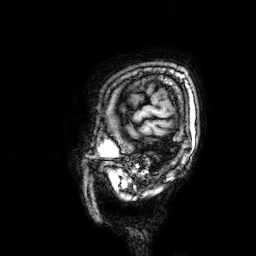
3 Tesla brain MRI. Series: 3D T1-weighted. Study: ring-enhancing brain masses.